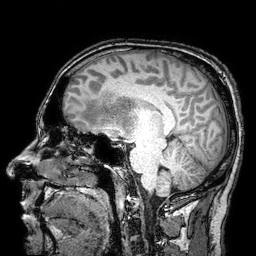
3 Tesla brain MRI. Series: 3D T1-weighted turbo field echo with SENSE. Study: ring-enhancing brain masses.